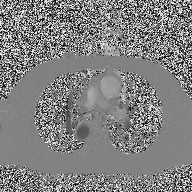
Q: What kind of scan is this?
A: 2D phase-contrast cine MRI of the ascending aorta.